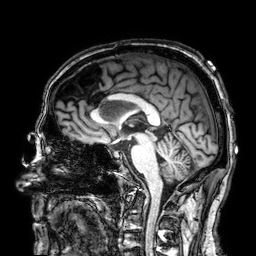
Case summary:
3 Tesla brain MRI. Series: 3D T1-weighted. Study: ring-enhancing brain masses.